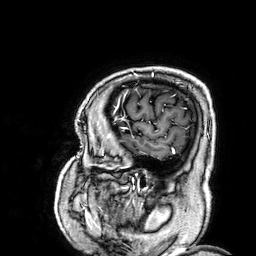
3 Tesla brain MRI.
Series: 3D T1-weighted.
Study: ring-enhancing brain masses.